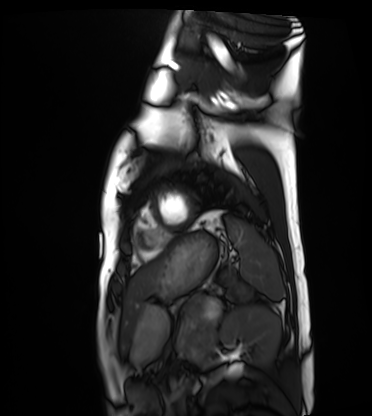
modality: cardiac MRI | subject group: healthy volunteer.